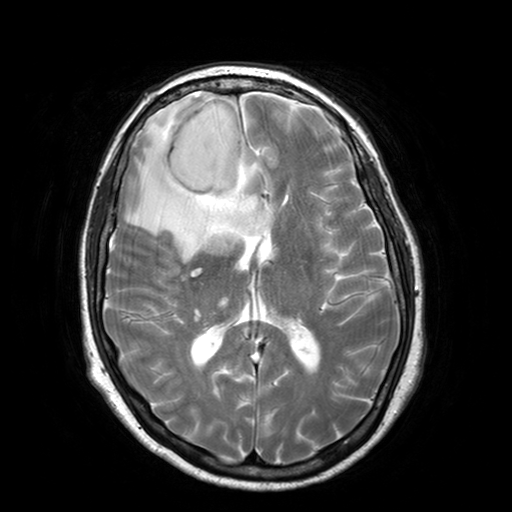
Summary: 3 Tesla brain MRI. Series: T2-weighted turbo spin echo with SENSE. Study: ring-enhancing brain masses.